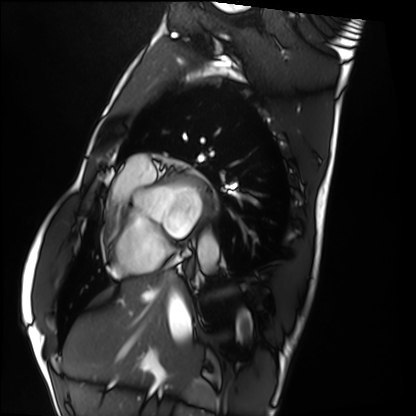
modality: cardiac MRI | subject group: healthy volunteer.